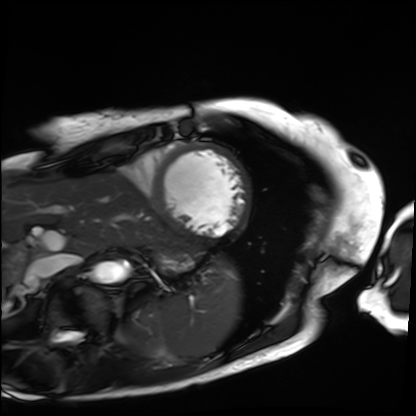
Cardiac MRI. Subject group: patient.